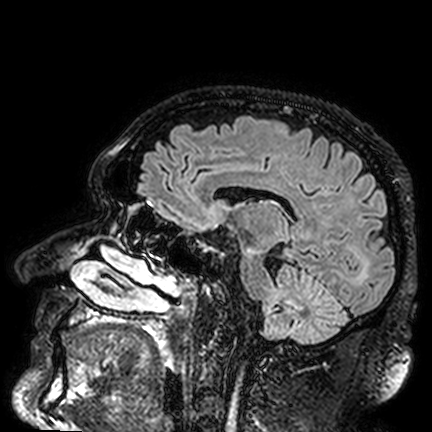
3 Tesla brain MRI.
Series: FLAIR VISTA.
Study: ring-enhancing brain masses.